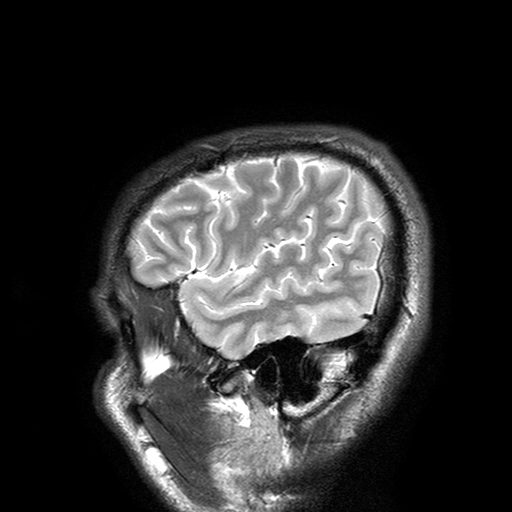
{"modality": {"type": "brain MRI", "field_strength": "3T"}, "series": "T2-weighted turbo spin echo with SENSE", "study_topic": "ring-enhancing brain masses"}